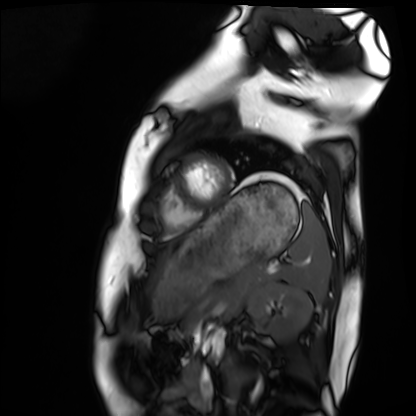
| field | value |
|---|---|
| modality | cardiac MRI |
| subject group | healthy volunteer |